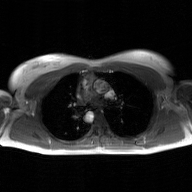
Case:
• modality — 2D phase-contrast cine MRI of the ascending aorta, GAN super-resolution reconstruction